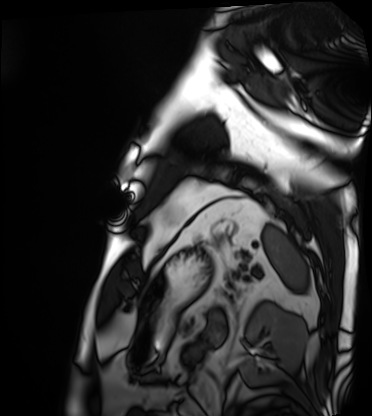
Cardiac MRI. Subject group: patient.